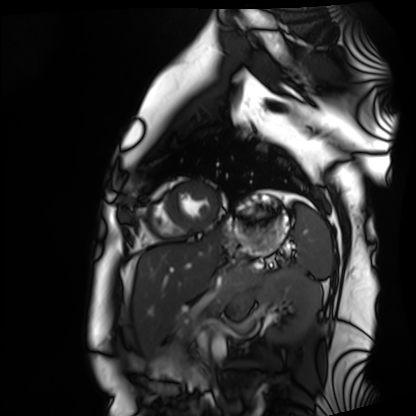
| field | value |
|---|---|
| modality | cardiac MRI |
| subject group | healthy volunteer |